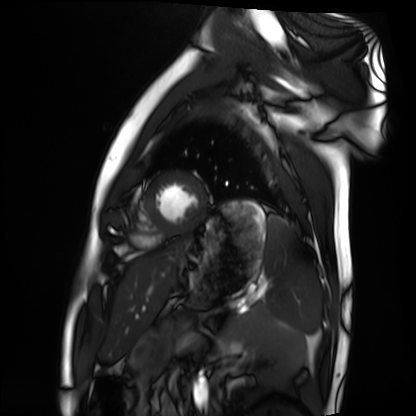
Case summary: Cardiac MRI. Subject group: healthy volunteer.